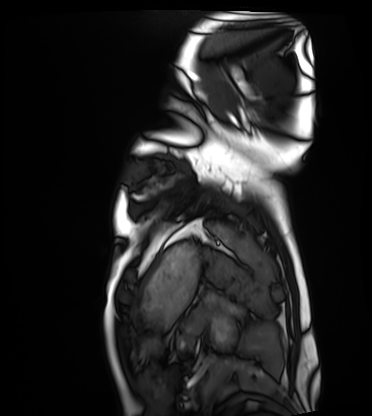
Cardiac MRI. Subject group: healthy volunteer.